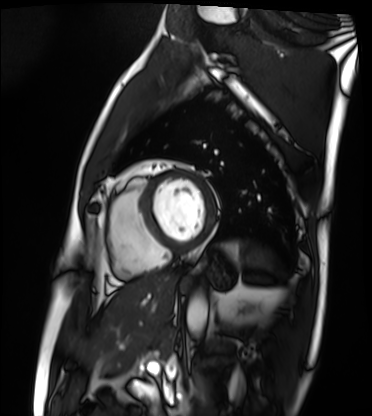
<scan>
<modality>cardiac MRI</modality>
<cohort>patient</cohort>
</scan>